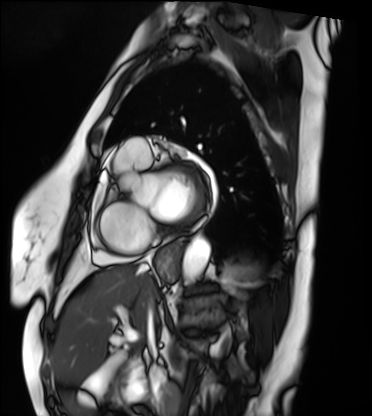
Q: What kind of scan is this?
A: Cardiac MRI.
Subject group: patient.